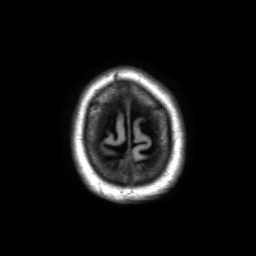
<record>
<modality>
  <type>brain MRI</type>
  <field_strength>3T</field_strength>
</modality>
<series>3D T1-weighted TFE with SENSE</series>
<study_topic>ring-enhancing brain masses</study_topic>
</record>